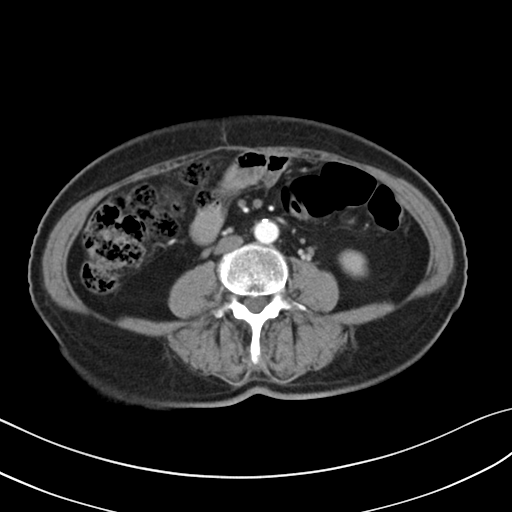
Multiphase abdominal CT, liver, arterial phase.